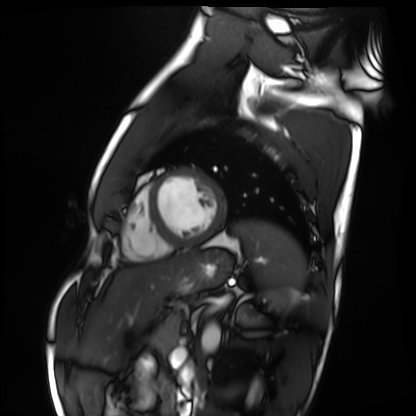
modality = cardiac MRI; subject group = healthy volunteer.